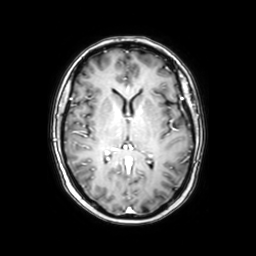
Q: What kind of scan is this?
A: 3 Tesla brain MRI.
Q: Series?
A: Axial with contrast.
Study: ring-enhancing brain masses.